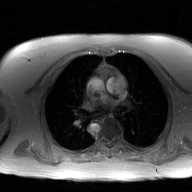
modality — 2D phase-contrast cine MRI of the ascending aorta, GAN super-resolution reconstruction.